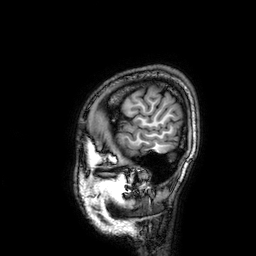
3 Tesla brain MRI. Series: 3D T1-weighted. Study: ring-enhancing brain masses.